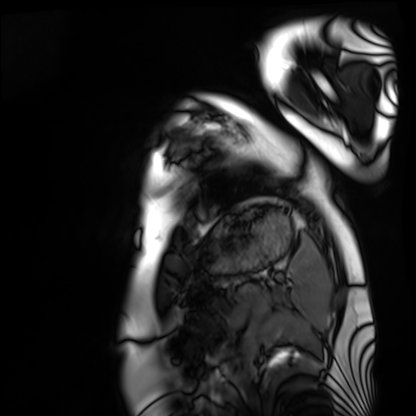
• modality — cardiac MRI
• subject group — healthy volunteer